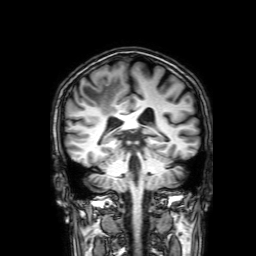
3 Tesla brain MRI. Series: 3D T1-weighted with SENSE. Study: ring-enhancing brain masses.